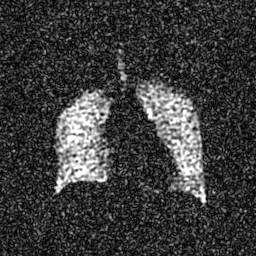
| field | value |
|---|---|
| modality | hyperpolarized 129Xe ventilation MRI of the lungs |
| SNR level | 5 of 8 (the deposit holds this scan as its native image and as seven SNR-degraded versions) |